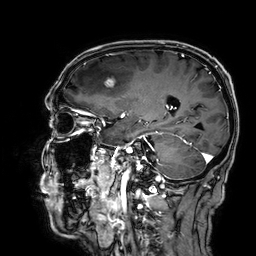
3 Tesla brain MRI.
Series: 3D T1-weighted.
Study: ring-enhancing brain masses.